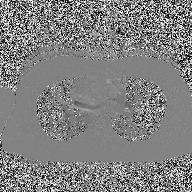
modality = 2D phase-contrast cine MRI of the ascending aorta.